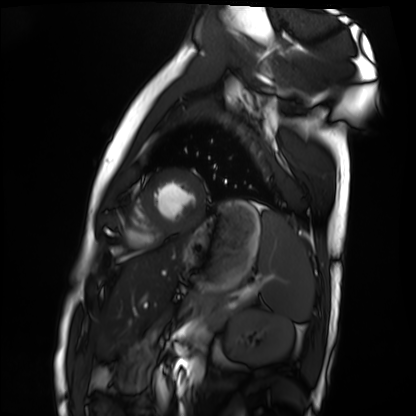
Cardiac MRI. Subject group: healthy volunteer.